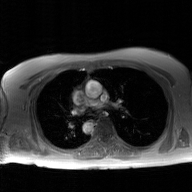
2D phase-contrast cine MRI of the ascending aorta, GAN super-resolution reconstruction.